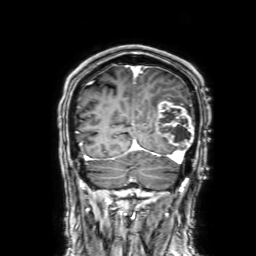
Case:
• modality — 3 Tesla brain MRI
• series — 3D T1-weighted with SENSE
• study — ring-enhancing brain masses